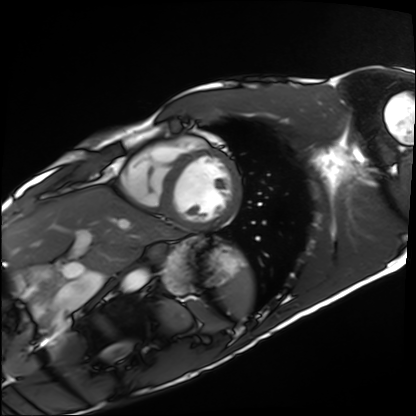
Q: What kind of scan is this?
A: Cardiac MRI.
Subject group: healthy volunteer.